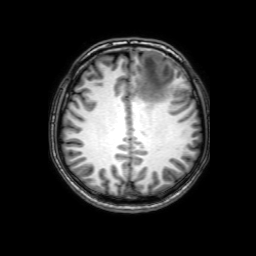
modality: 3 Tesla brain MRI | series: 3D T1-weighted with SENSE | study: ring-enhancing brain masses.